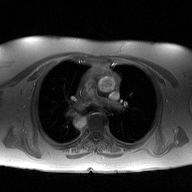
2D phase-contrast cine MRI of the ascending aorta, high-resolution GRAPPA acquisition.